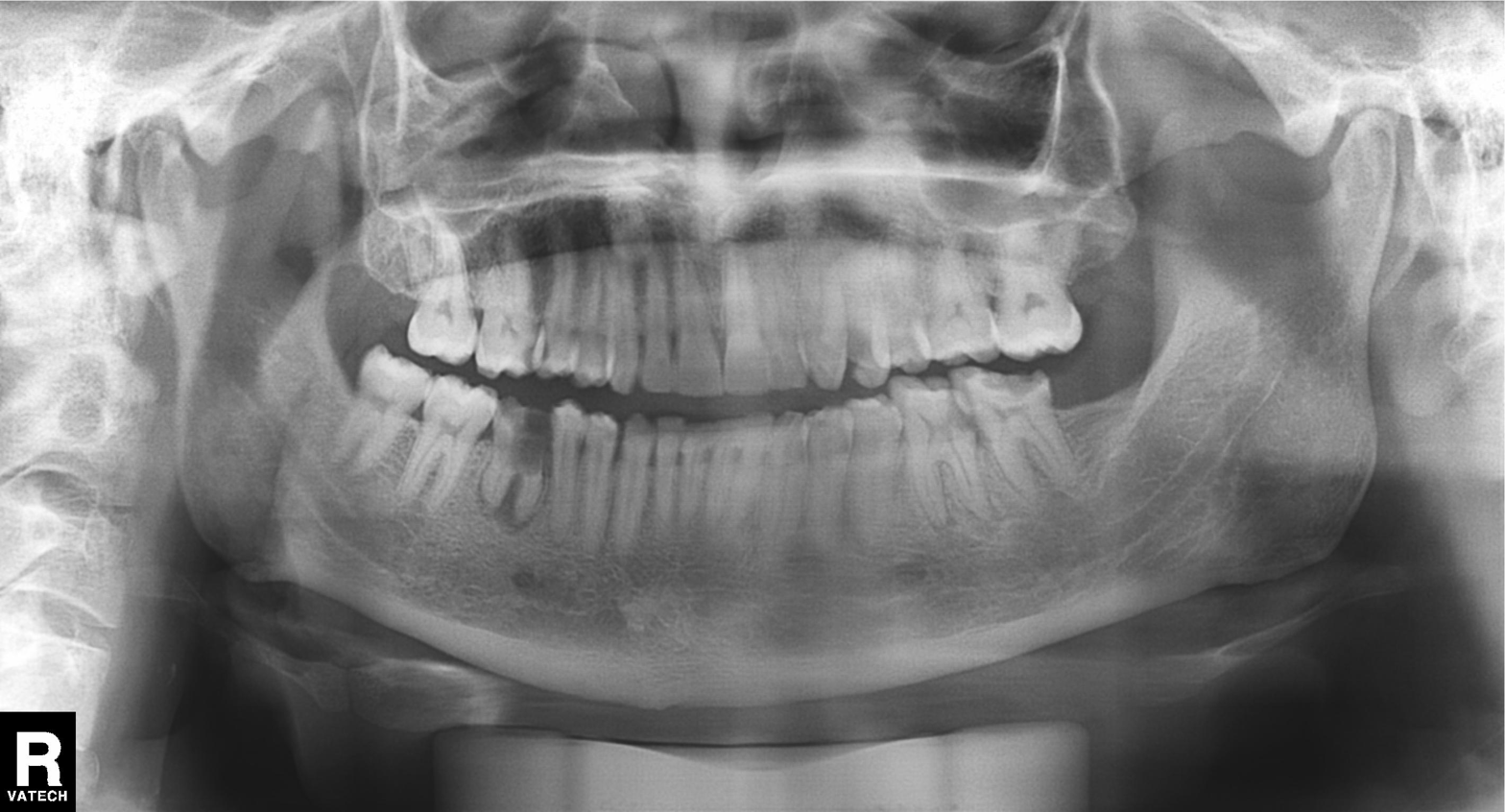
Q: What kind of scan is this?
A: Panoramic dental radiograph (orthopantomogram).
Q: What is the radiographic finding?
A: Alveolar bone loss.